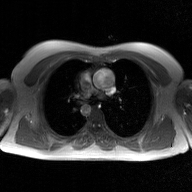
2D phase-contrast cine MRI of the ascending aorta, GAN super-resolution reconstruction.